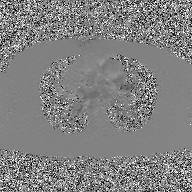
<study>
  <modality>
    <type>2D phase-contrast cine MRI</type>
    <region>ascending aorta</region>
    <reconstruction>GAN super-resolution reconstruction</reconstruction>
  </modality>
</study>